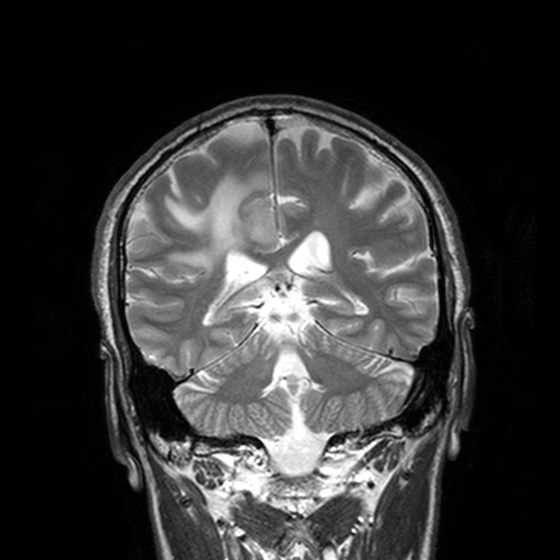
Summary:
3 Tesla brain MRI. Series: T2-weighted turbo spin echo, 3 mm. Study: ring-enhancing brain masses.